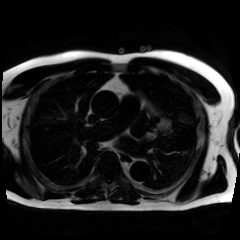
| field | value |
|---|---|
| modality | chemical-shift-encoded cardiac MRI |